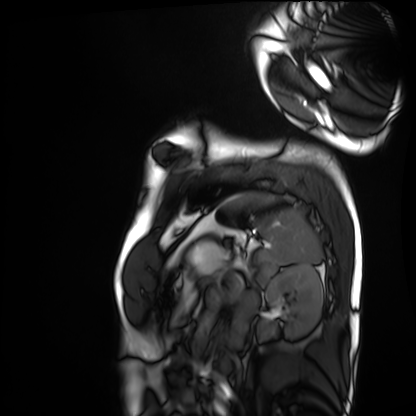
Cardiac MRI. Subject group: healthy volunteer.